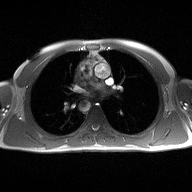
Summary:
2D phase-contrast cine MRI of the ascending aorta, high-resolution GRAPPA acquisition.